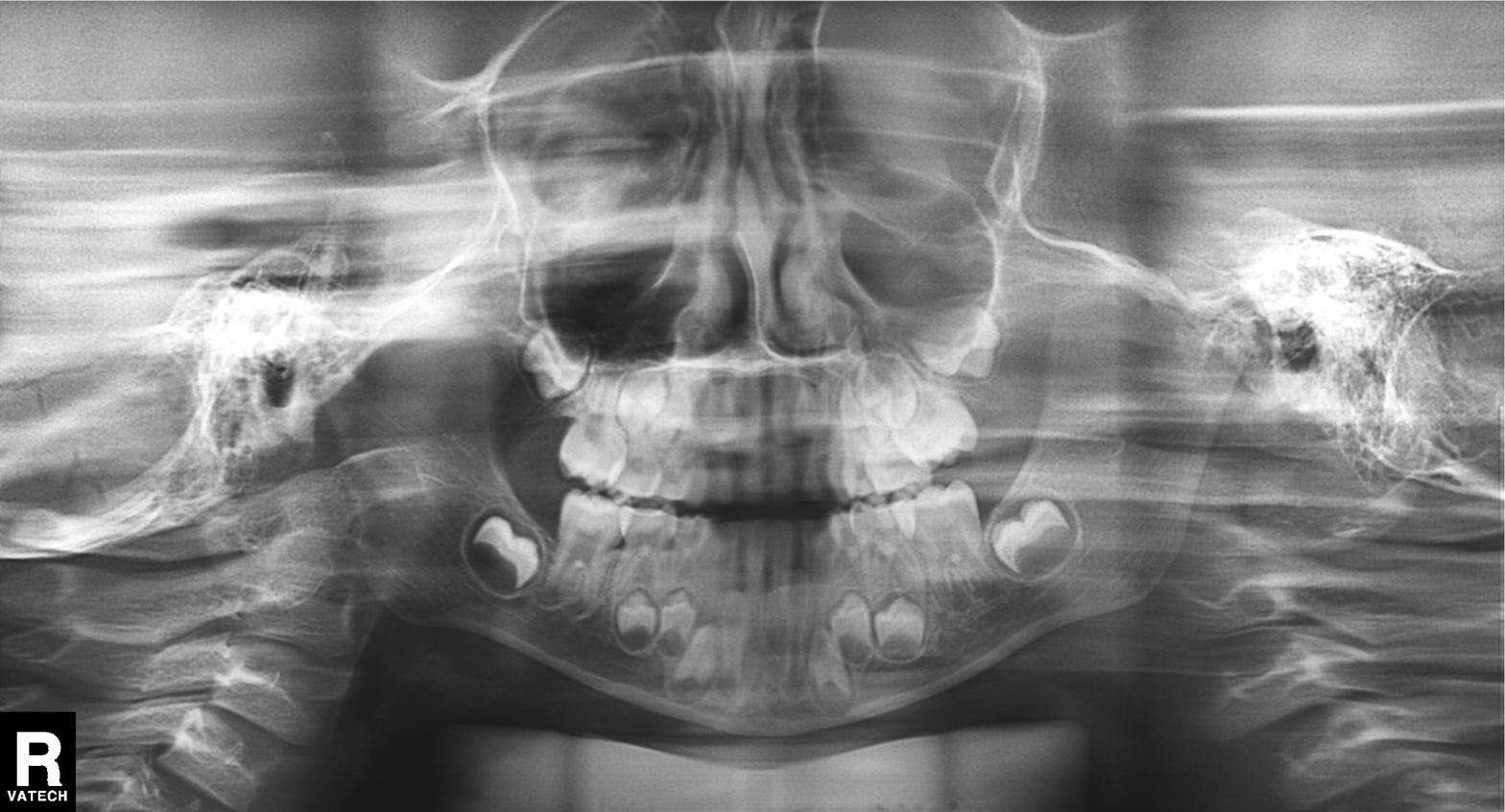
Clinical context: Panoramic dental radiograph (orthopantomogram).
Conclusion: Tooth impaction.